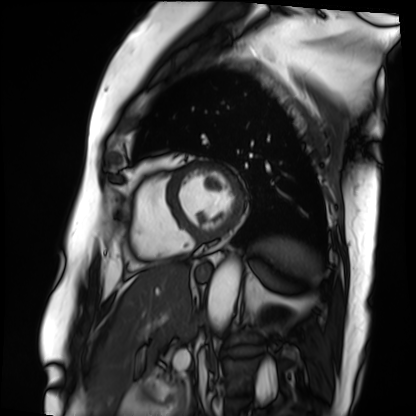
Clinical context:
Cardiac MRI. Subject group: patient.